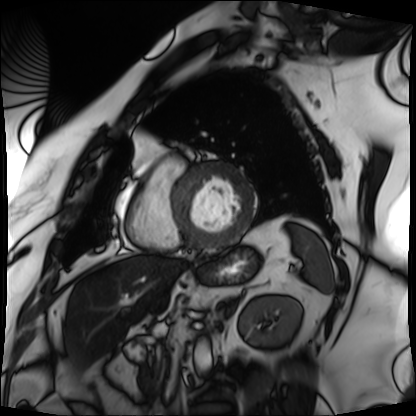
{
  "modality": "cardiac MRI",
  "cohort": "patient"
}